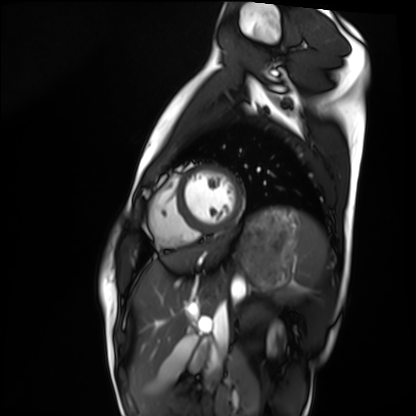
modality: cardiac MRI
subject group: healthy volunteer